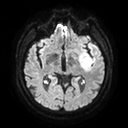
3 Tesla brain MRI.
Series: diffusion tensor imaging (medium iso).
Study: ring-enhancing brain masses.